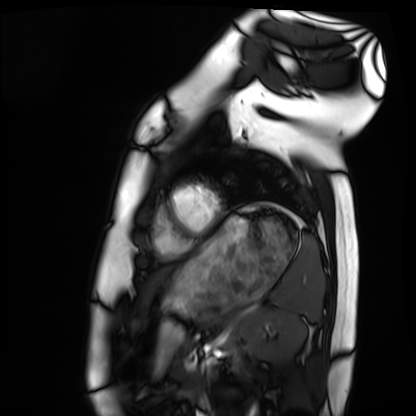
Cardiac MRI. Subject group: healthy volunteer.